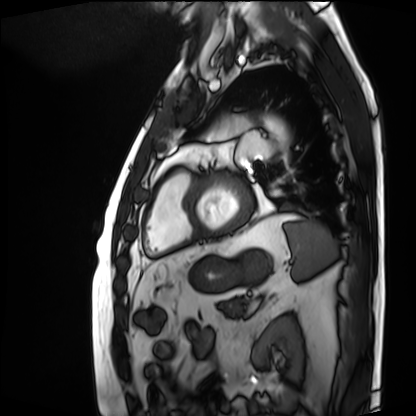
<study>
<modality>cardiac MRI</modality>
<cohort>patient</cohort>
</study>